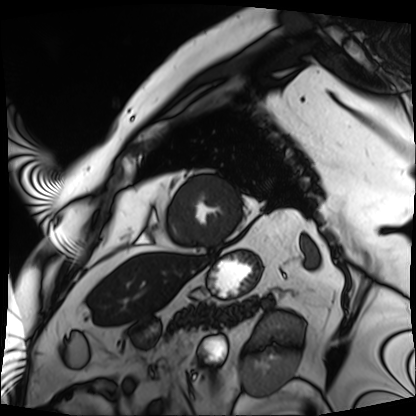
modality: cardiac MRI
cohort: patient